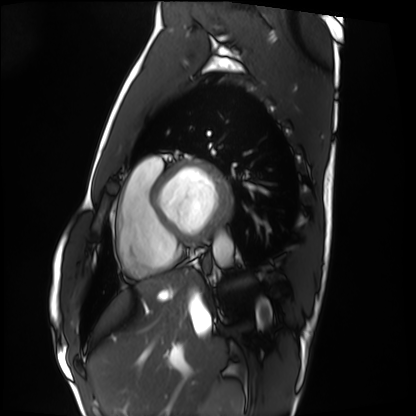
Clinical context: Cardiac MRI. Subject group: healthy volunteer.